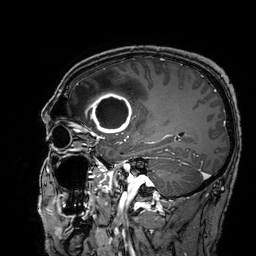
modality = 3 Tesla brain MRI | series = 3D T1-weighted turbo field echo with SENSE | study = ring-enhancing brain masses.